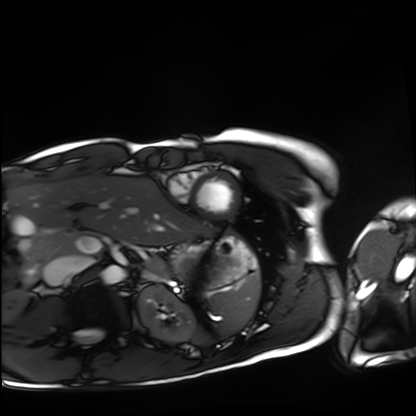
Cardiac MRI. Subject group: healthy volunteer.